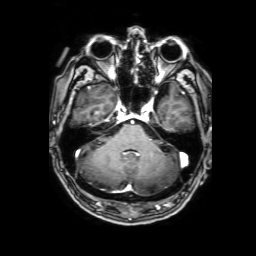
modality: 3 Tesla brain MRI; series: 3D T1-weighted with SENSE; study: ring-enhancing brain masses.